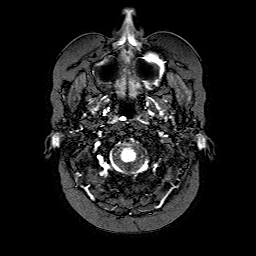
Clinical context: 3 Tesla brain MRI. Series: FLAIR with SPAIR. Study: ring-enhancing brain masses.